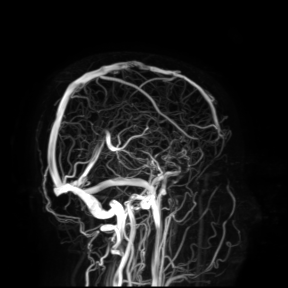
3 Tesla brain MRI. Study: ring-enhancing brain masses.